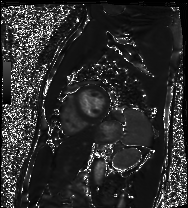
Q: What kind of scan is this?
A: Cardiac MRI.
Subject group: patient.